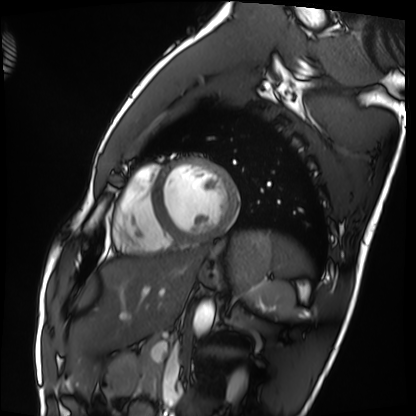
Cardiac MRI. Subject group: healthy volunteer.